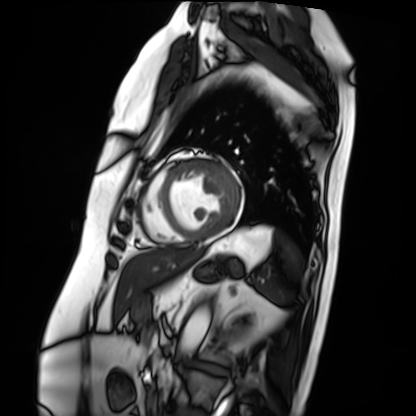
Summary:
Cardiac MRI. Subject group: patient.